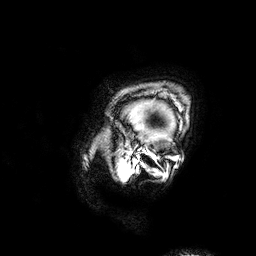
modality = 3 Tesla brain MRI; study = ring-enhancing brain masses.